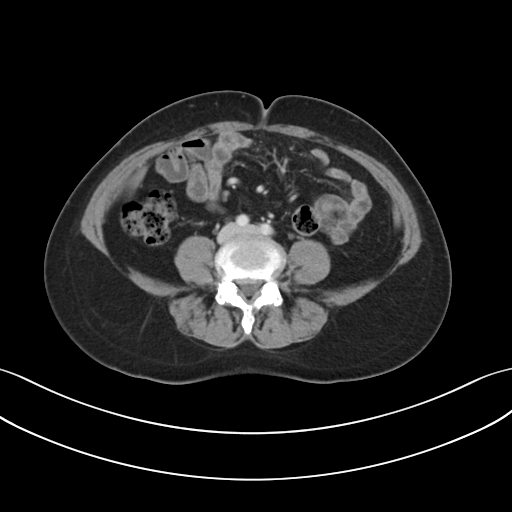
modality — multiphase abdominal CT, liver, portal venous phase
patient — female, age 54